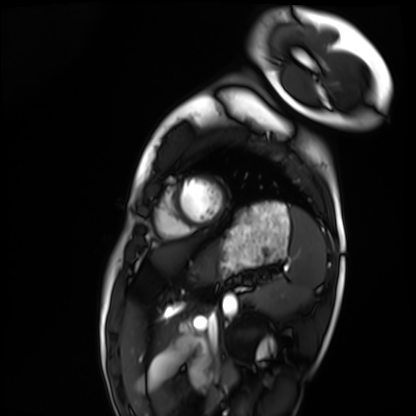
modality: cardiac MRI; subject group: healthy volunteer.